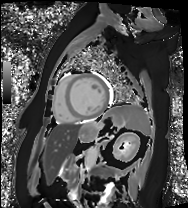
Summary:
Cardiac MRI. Subject group: patient.